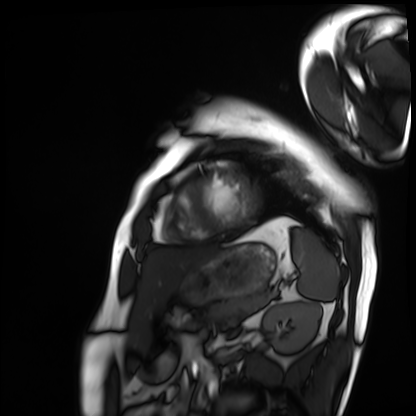
* modality · cardiac MRI
* subject group · patient